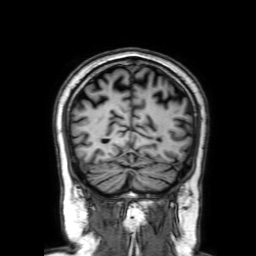
Clinical context:
3 Tesla brain MRI. Series: 3D T1-weighted with SENSE. Study: ring-enhancing brain masses.